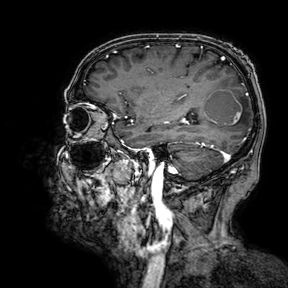
modality: 3 Tesla brain MRI | series: 3D T1-weighted turbo field echo with SENSE | study: ring-enhancing brain masses.